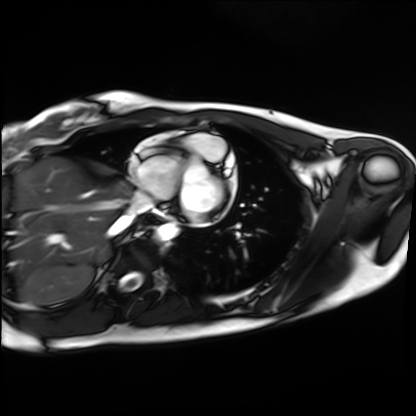
modality = cardiac MRI | subject group = healthy volunteer.